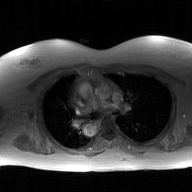
<study>
  <modality>
    <type>2D phase-contrast cine MRI</type>
    <region>ascending aorta</region>
    <reconstruction>GAN super-resolution reconstruction</reconstruction>
  </modality>
</study>